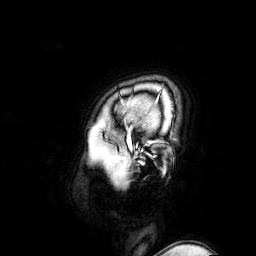
Clinical context:
3 Tesla brain MRI. Series: 3D T1-weighted turbo field echo with SENSE. Study: ring-enhancing brain masses.